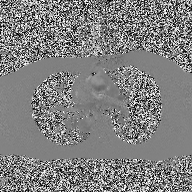
{"modality": {"type": "2D phase-contrast cine MRI", "region": "ascending aorta", "reconstruction": "high-resolution GRAPPA acquisition"}}